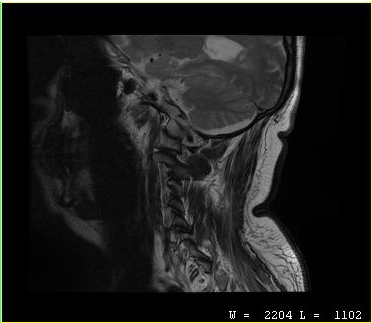
Clinical context:
MRI of the cervical spine. Study: cervical spondylosis.